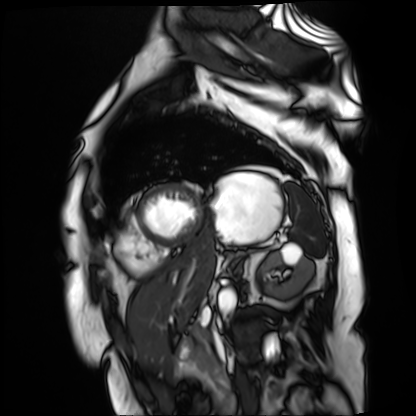
{
  "modality": "cardiac MR image of the myocardium",
  "cohort": "cardiac patient"
}